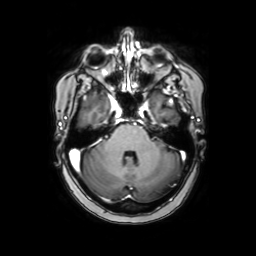
3 Tesla brain MRI.
Series: axial with contrast.
Study: ring-enhancing brain masses.